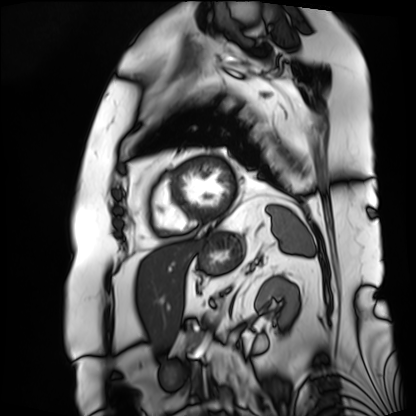
modality: cardiac MRI; subject group: patient.